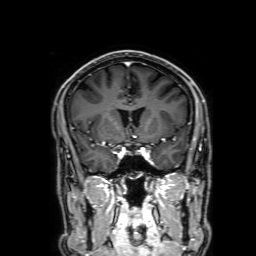
3 Tesla brain MRI. Series: 3D T1-weighted with SENSE. Study: ring-enhancing brain masses.